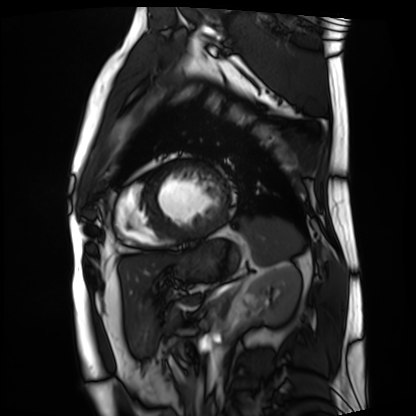
Summary: Cardiac MRI. Subject group: patient.